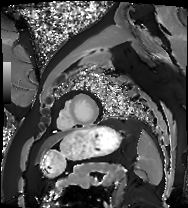
Cardiac MRI. Subject group: patient.